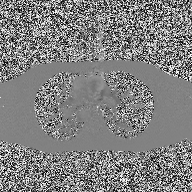
2D phase-contrast cine MRI of the ascending aorta, high-resolution GRAPPA acquisition.